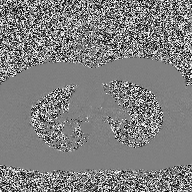
Summary:
2D phase-contrast cine MRI of the ascending aorta, high-resolution GRAPPA acquisition.